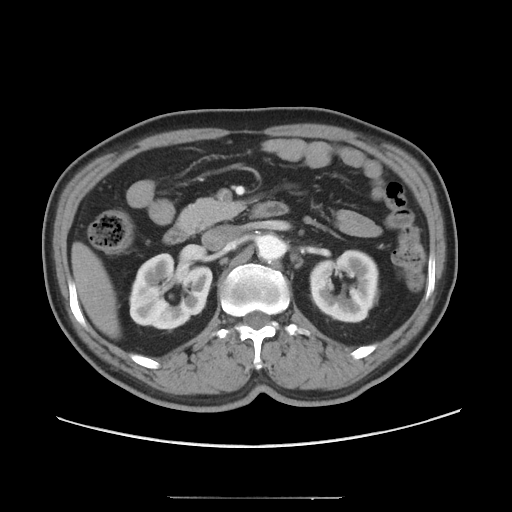
Multiphase abdominal CT, liver, arterial phase. Patient: male, age 54.